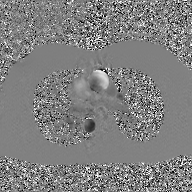
modality = 2D phase-contrast cine MRI of the ascending aorta, GAN super-resolution reconstruction